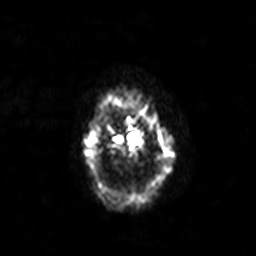
{
  "modality": {
    "type": "brain MRI",
    "field_strength": "3T"
  },
  "series": "diffusion-weighted imaging with SENSE (WIP)",
  "study_topic": "ring-enhancing brain masses"
}